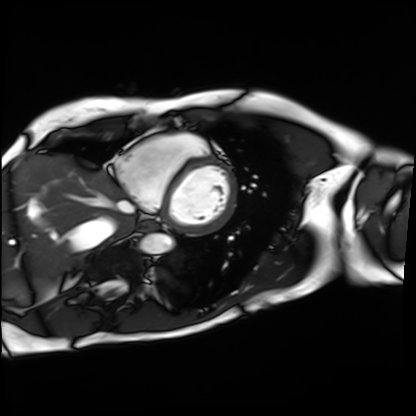
Cardiac MRI.
Subject group: patient.